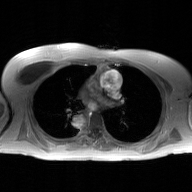
Summary: 2D phase-contrast cine MRI of the ascending aorta, GAN super-resolution reconstruction.